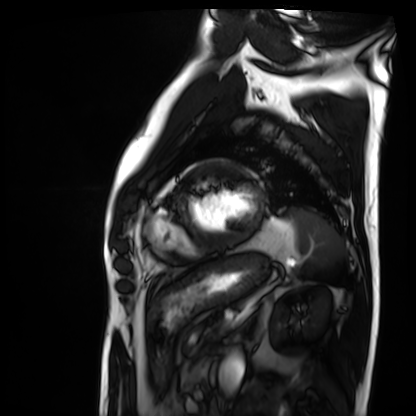
Summary:
Cardiac MRI. Subject group: patient.